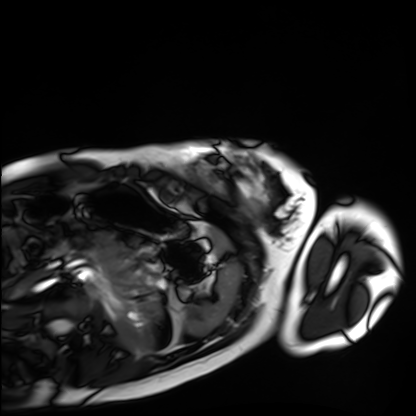
<case>
<modality>cardiac MRI</modality>
<cohort>healthy volunteer</cohort>
</case>